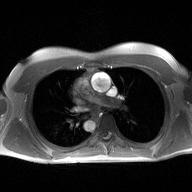
2D phase-contrast cine MRI of the ascending aorta, high-resolution GRAPPA acquisition.